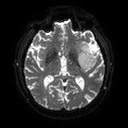
Case:
• modality · 3 Tesla brain MRI
• series · diffusion tensor imaging (medium iso)
• study · ring-enhancing brain masses